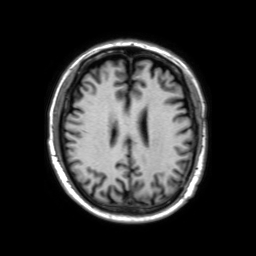
3 Tesla brain MRI. Series: 3D T1-weighted TFE with SENSE. Study: ring-enhancing brain masses.